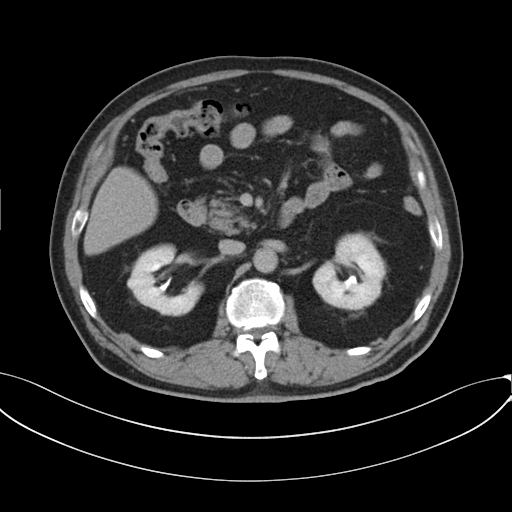
modality = multiphase abdominal CT, liver, delayed phase; patient = male, age 69; history = cirrhosis, viral hepatitis.